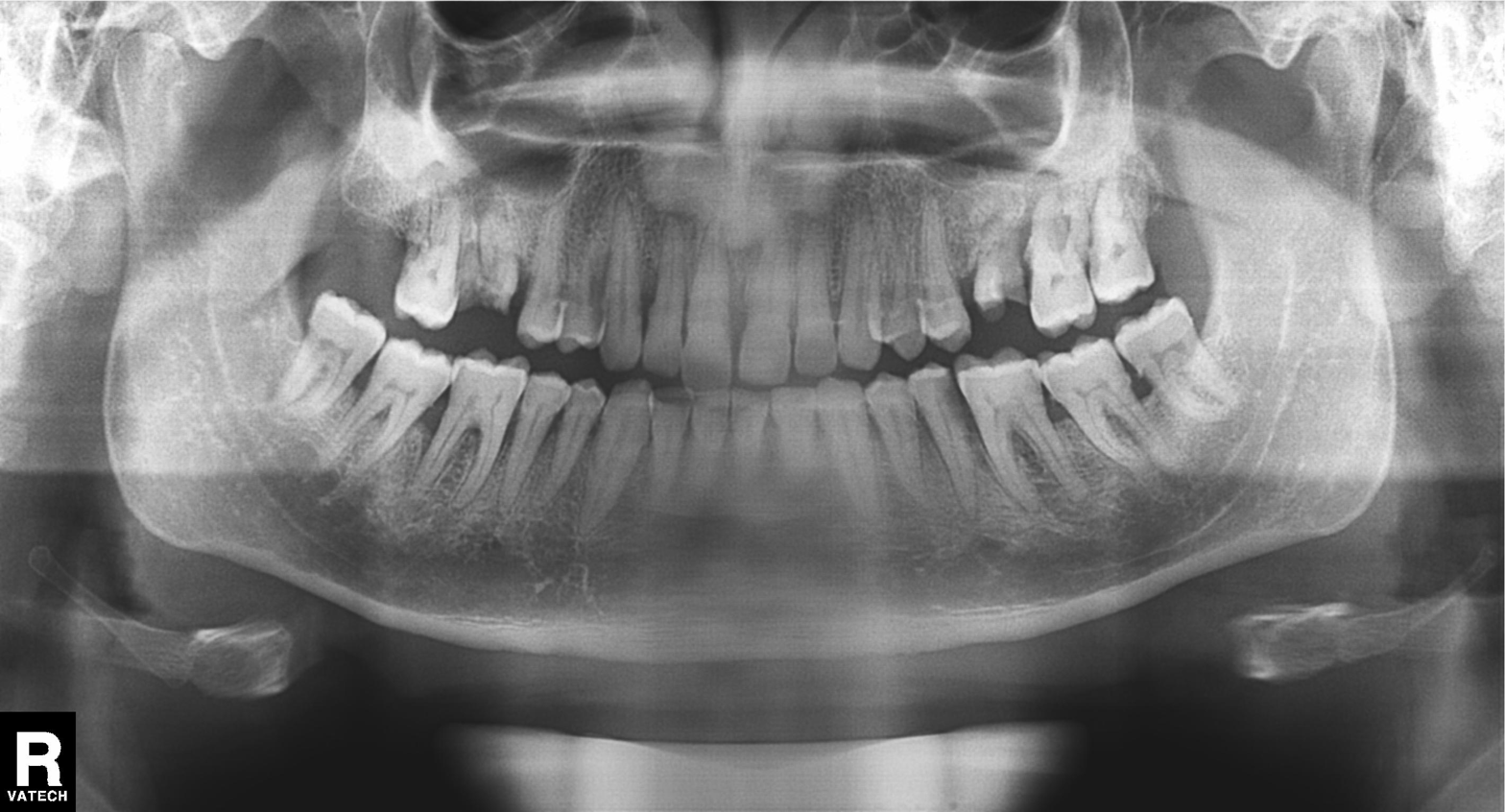
Panoramic dental radiograph (orthopantomogram). Finding: tooth impaction.